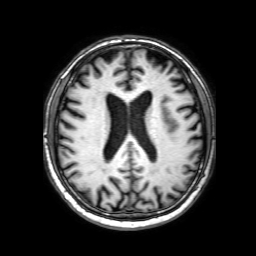
  modality:
    type: brain MRI
    field_strength: 3T
  series: 3D T1-weighted with SENSE
  study_topic: ring-enhancing brain masses